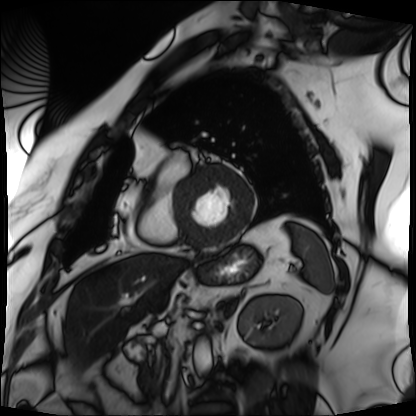
Cardiac MRI. Subject group: patient.